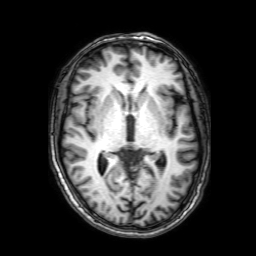
Summary: 3 Tesla brain MRI. Series: 3D T1-weighted with SENSE. Study: ring-enhancing brain masses.